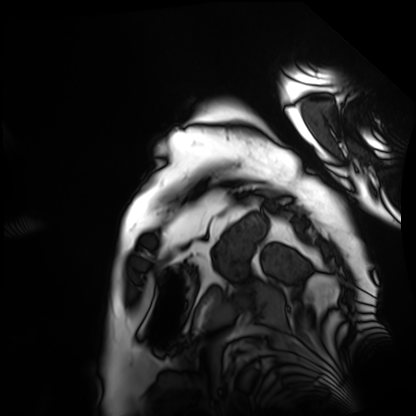
Cardiac MRI. Subject group: patient.